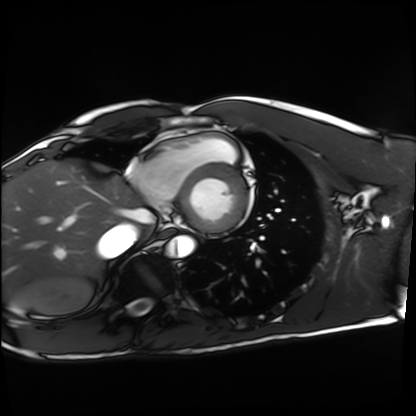
Summary:
Cardiac MRI. Subject group: healthy volunteer.